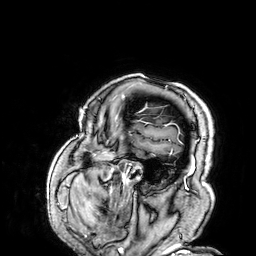
3 Tesla brain MRI.
Series: 3D T1-weighted.
Study: ring-enhancing brain masses.